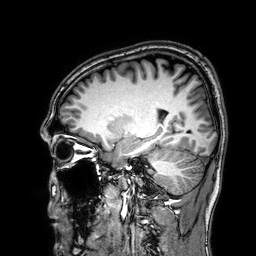
• modality: 3 Tesla brain MRI
• series: 3D T1-weighted
• study: ring-enhancing brain masses